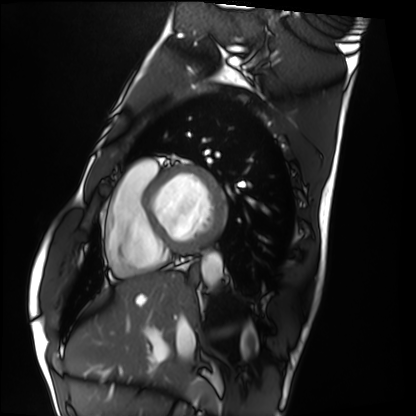
– modality: cardiac MRI
– subject group: healthy volunteer